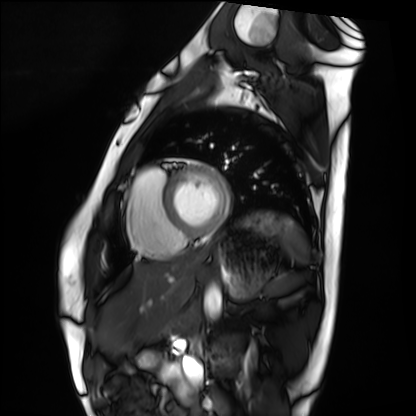
Summary:
Cardiac MRI. Subject group: healthy volunteer.